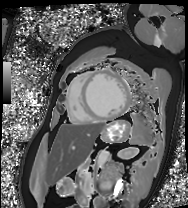
Case summary:
Cardiac MRI. Subject group: patient.